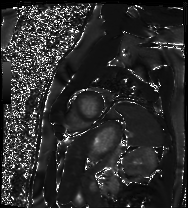
Cardiac MRI. Subject group: patient.